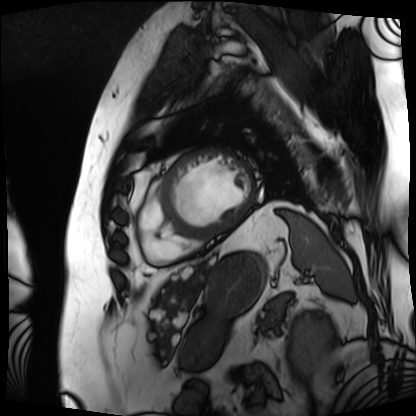
<case>
<modality>cardiac MRI</modality>
<cohort>patient</cohort>
</case>